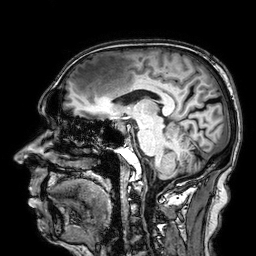
modality:
  type: brain MRI
  field_strength: 3T
series: 3D T1-weighted
study_topic: ring-enhancing brain masses